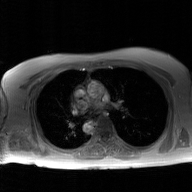
Case summary: 2D phase-contrast cine MRI of the ascending aorta, GAN super-resolution reconstruction.